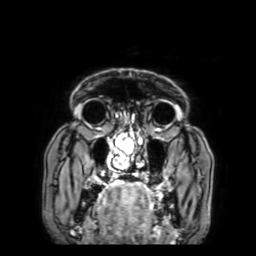
Q: What kind of scan is this?
A: 3 Tesla brain MRI.
Q: Series?
A: 3D T1-weighted with SENSE.
Study: ring-enhancing brain masses.